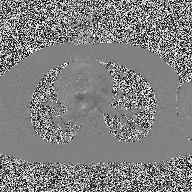
• modality — 2D phase-contrast cine MRI of the ascending aorta